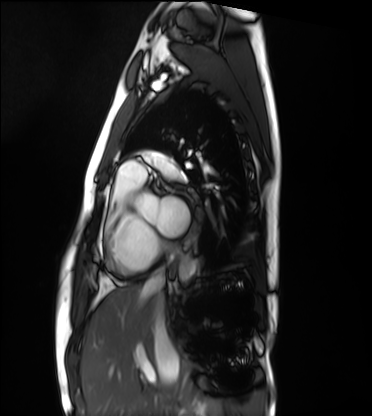
Cardiac MRI. Subject group: healthy volunteer.